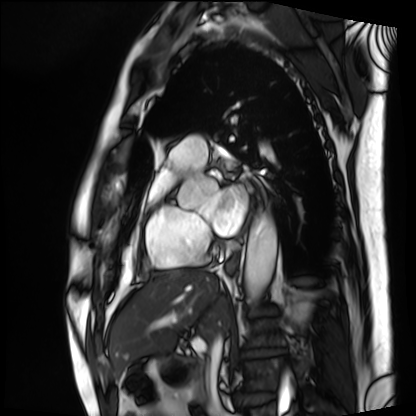
Case summary: Cardiac MRI. Subject group: patient.